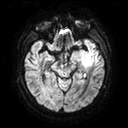
3 Tesla brain MRI. Series: diffusion tensor imaging (medium iso). Study: ring-enhancing brain masses.